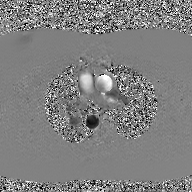
2D phase-contrast cine MRI of the ascending aorta, GAN super-resolution reconstruction.